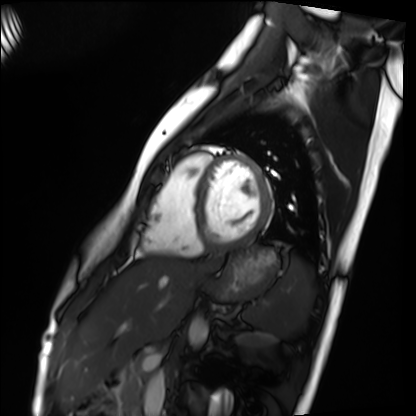
Cardiac MRI.
Subject group: healthy volunteer.